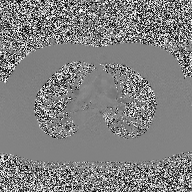
modality: 2D phase-contrast cine MRI of the ascending aorta.